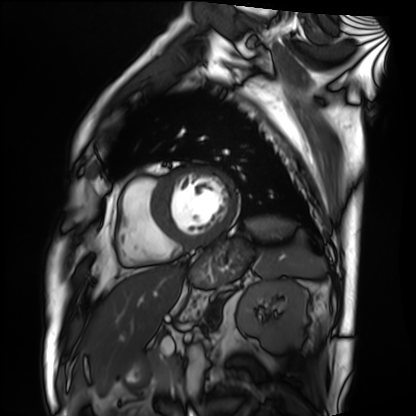
Case:
• modality — cardiac MRI
• subject group — patient